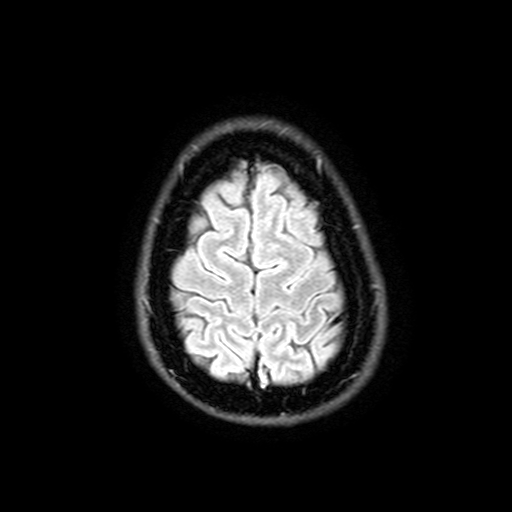
Clinical context: 3 Tesla brain MRI. Series: FLAIR with SPAIR, 3 mm. Study: ring-enhancing brain masses.